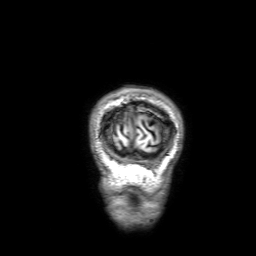
modality — 3 Tesla brain MRI | series — 3D T1-weighted with SENSE | study — ring-enhancing brain masses.